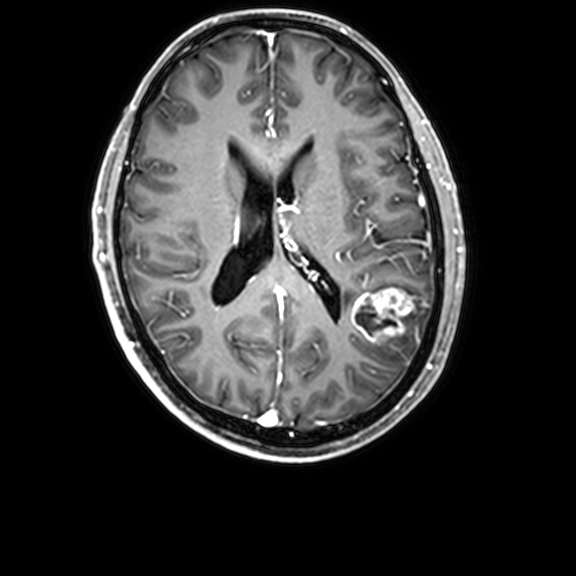
3 Tesla brain MRI.
Series: 3D T1-weighted with CLEAR.
Study: ring-enhancing brain masses.